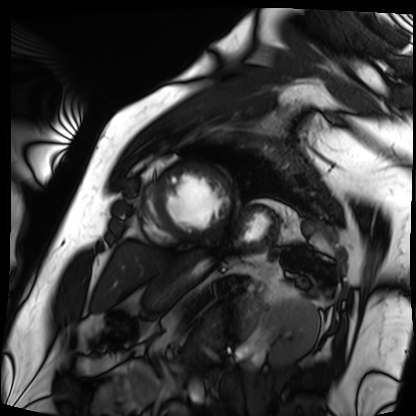
modality: cardiac MRI
subject group: patient